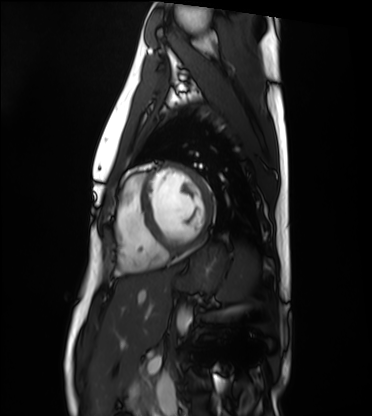
Cardiac MRI.
Subject group: healthy volunteer.